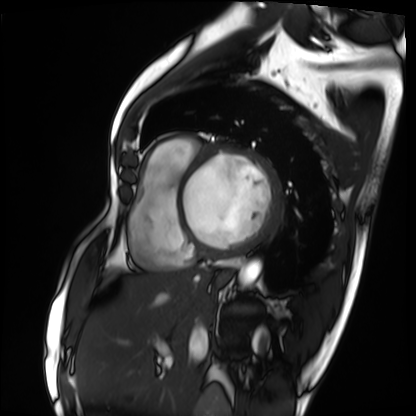
* modality: cardiac MRI
* subject group: patient